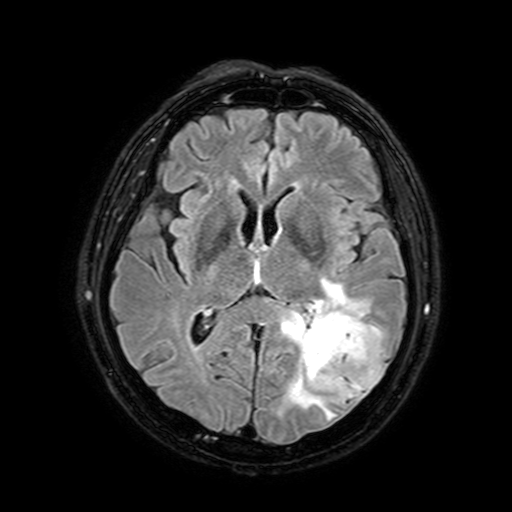
3 Tesla brain MRI.
Series: FLAIR with SPAIR, 3 mm.
Study: ring-enhancing brain masses.